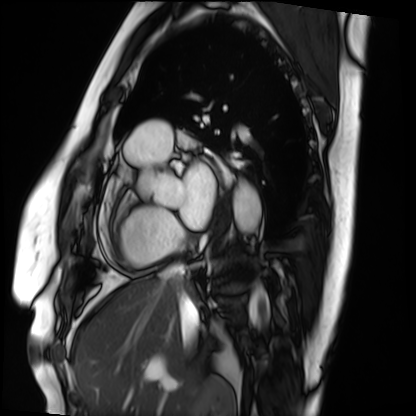
Cardiac MRI.
Subject group: patient.